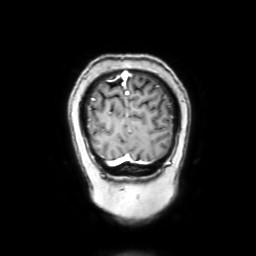
3 Tesla brain MRI. Series: coronal with contrast. Study: ring-enhancing brain masses.